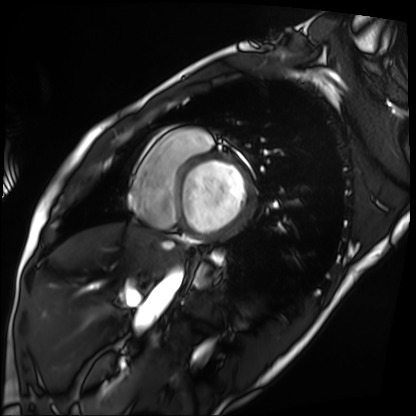
{
  "modality": "cardiac MRI",
  "cohort": "patient"
}